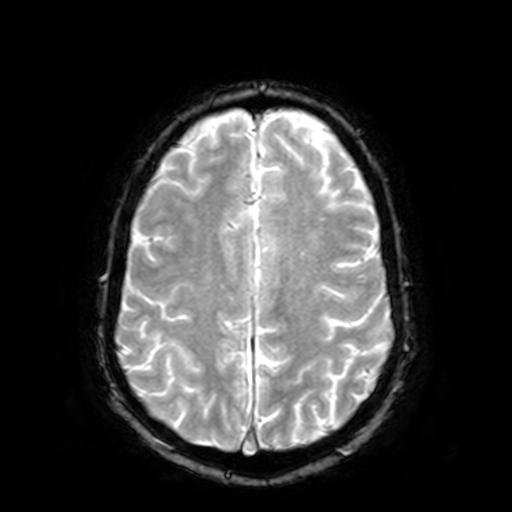
3 Tesla brain MRI. Study: ring-enhancing brain masses.